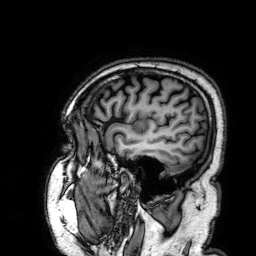
modality — 3 Tesla brain MRI
series — 3D T1-weighted
study — ring-enhancing brain masses